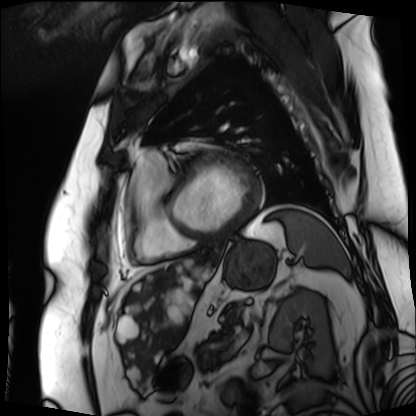
modality = cardiac MRI
subject group = patient